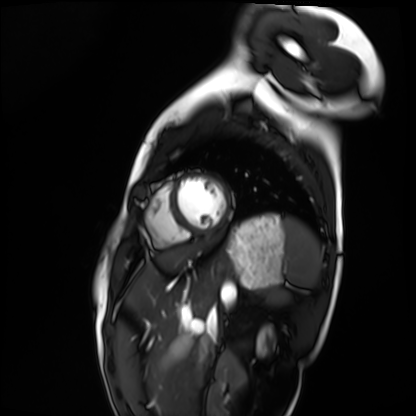
Cardiac MRI. Subject group: healthy volunteer.